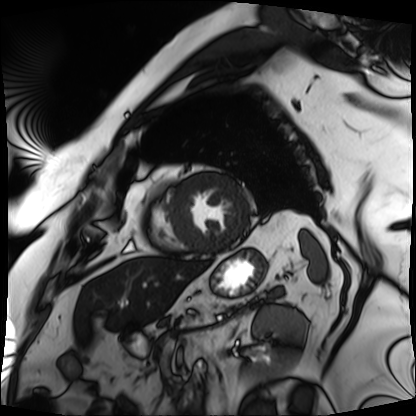
Cardiac MRI.
Subject group: patient.